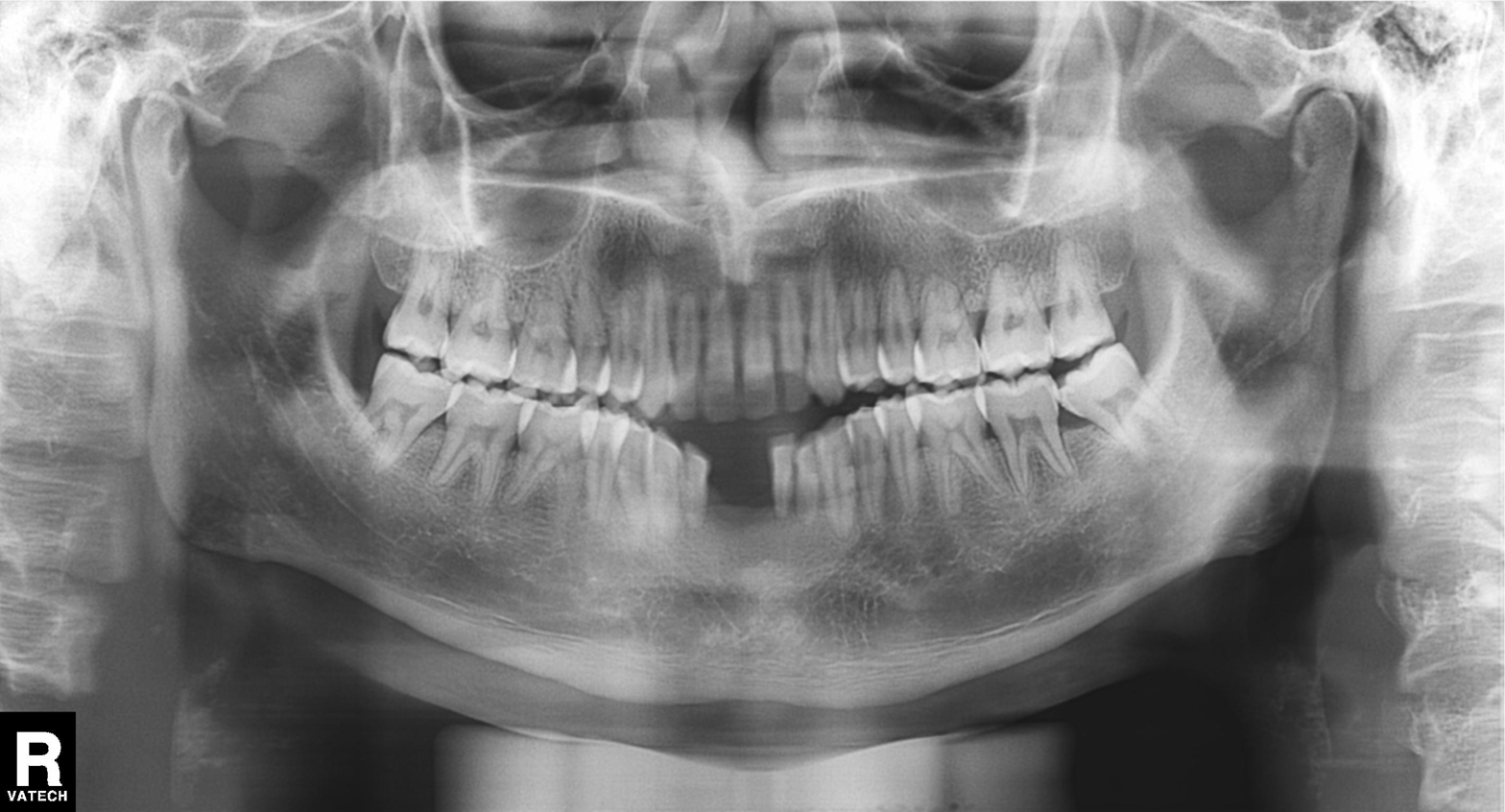
Panoramic dental radiograph (orthopantomogram). Finding: alveolar bone loss.